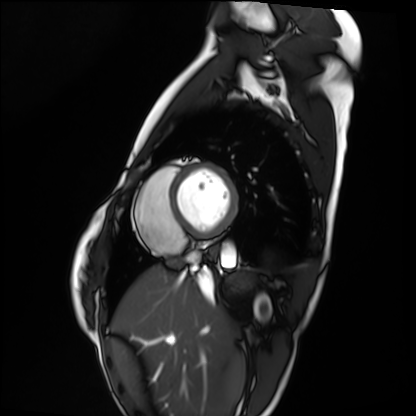
Cardiac MRI. Subject group: healthy volunteer.